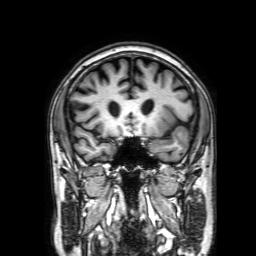
{"modality": {"type": "brain MRI", "field_strength": "3T"}, "series": "3D T1-weighted with SENSE", "study_topic": "ring-enhancing brain masses"}